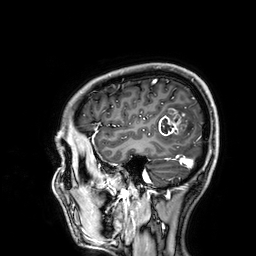
3 Tesla brain MRI. Study: ring-enhancing brain masses.